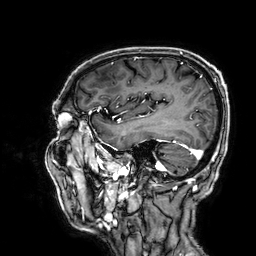
modality: 3 Tesla brain MRI
series: 3D T1-weighted
study: ring-enhancing brain masses